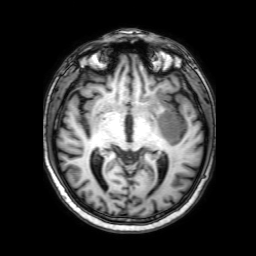
Case summary:
3 Tesla brain MRI. Series: 3D T1-weighted with SENSE. Study: ring-enhancing brain masses.